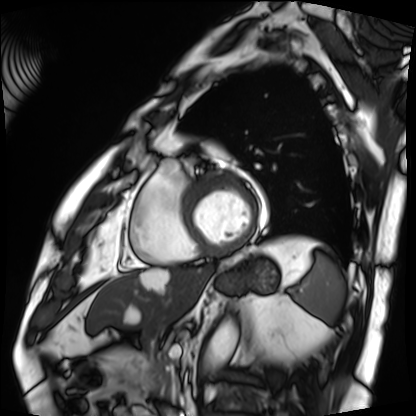
modality: cardiac MRI
subject group: patient